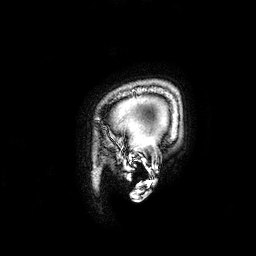
3 Tesla brain MRI. Series: 3D T1-weighted. Study: ring-enhancing brain masses.